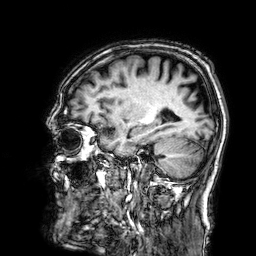
modality = 3 Tesla brain MRI
series = 3D T1-weighted
study = ring-enhancing brain masses